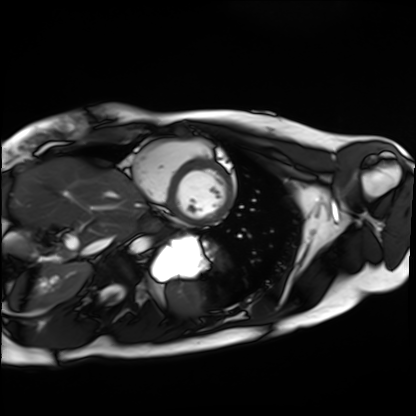
Clinical context:
Cardiac MRI. Subject group: healthy volunteer.